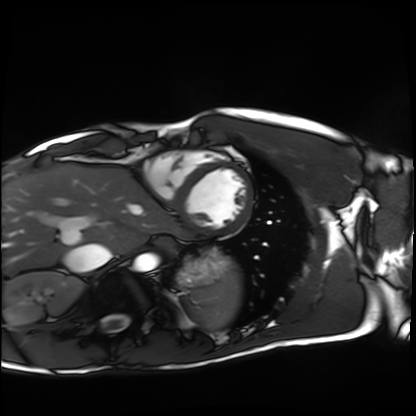
Clinical context: Cardiac MRI. Subject group: healthy volunteer.